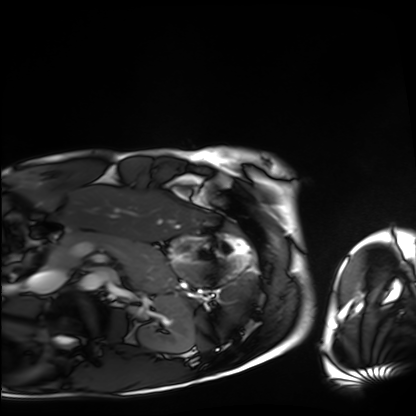
modality: cardiac MRI; subject group: healthy volunteer.